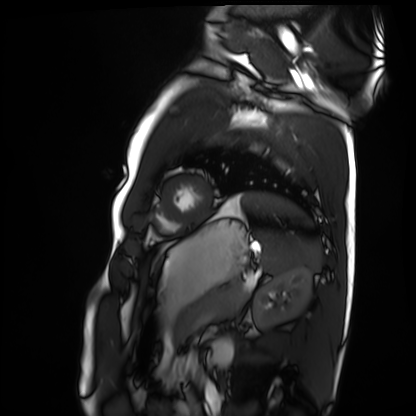
Q: What kind of scan is this?
A: Cardiac MRI.
Subject group: healthy volunteer.